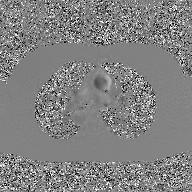
2D phase-contrast cine MRI of the ascending aorta, GAN super-resolution reconstruction.